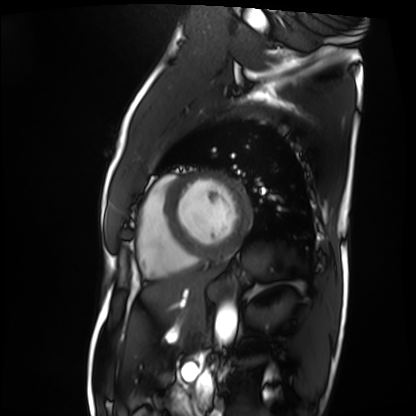
Cardiac MRI. Subject group: patient.